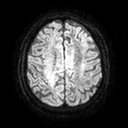
modality=3 Tesla brain MRI; series=diffusion tensor imaging (medium iso); study=ring-enhancing brain masses.